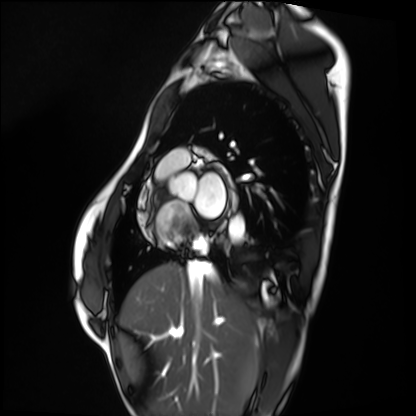
| field | value |
|---|---|
| modality | cardiac MRI |
| subject group | healthy volunteer |